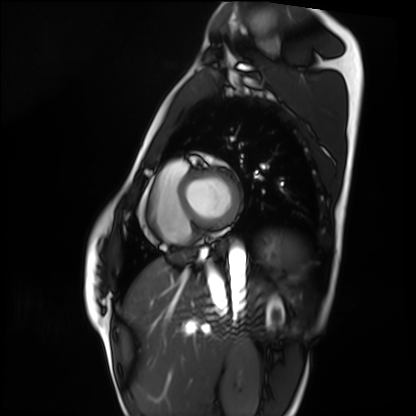
Summary: Cardiac MRI. Subject group: healthy volunteer.